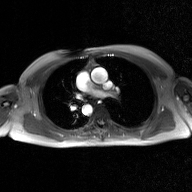
Summary: 2D phase-contrast cine MRI of the ascending aorta, GAN super-resolution reconstruction.